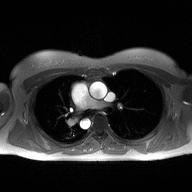
2D phase-contrast cine MRI of the ascending aorta, high-resolution GRAPPA acquisition.